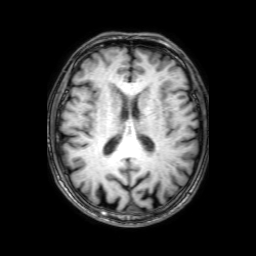
modality: 3 Tesla brain MRI; series: 3D T1-weighted with SENSE; study: ring-enhancing brain masses.